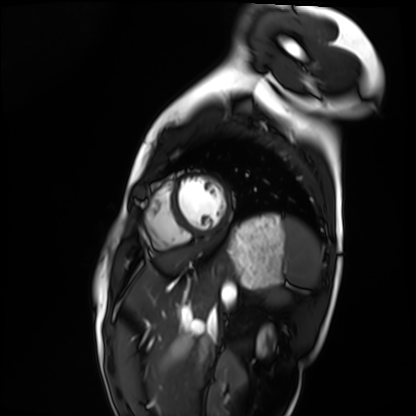
modality = cardiac MRI | subject group = healthy volunteer.